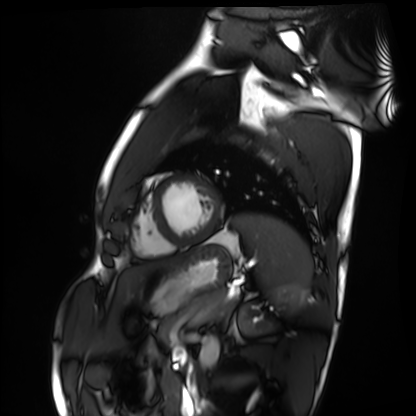
Summary: Cardiac MRI. Subject group: healthy volunteer.